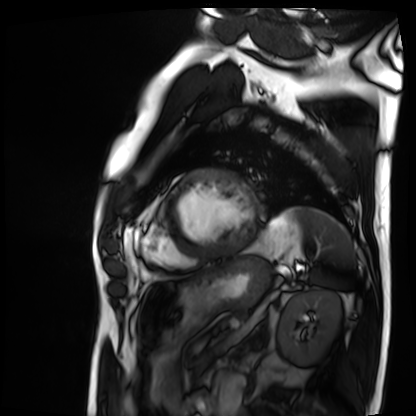
Cardiac MRI. Subject group: patient.